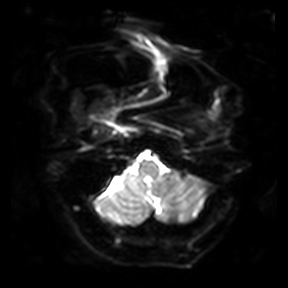
Summary: 3 Tesla brain MRI. Series: diffusion-weighted imaging. Study: ring-enhancing brain masses.